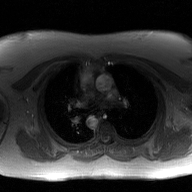
2D phase-contrast cine MRI of the ascending aorta, GAN super-resolution reconstruction.